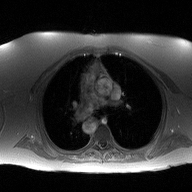
modality: 2D phase-contrast cine MRI of the ascending aorta